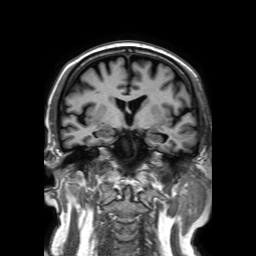
Case summary:
3 Tesla brain MRI. Study: ring-enhancing brain masses.